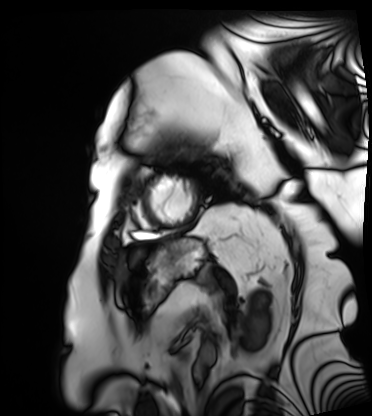
Cardiac MRI.
Subject group: patient.